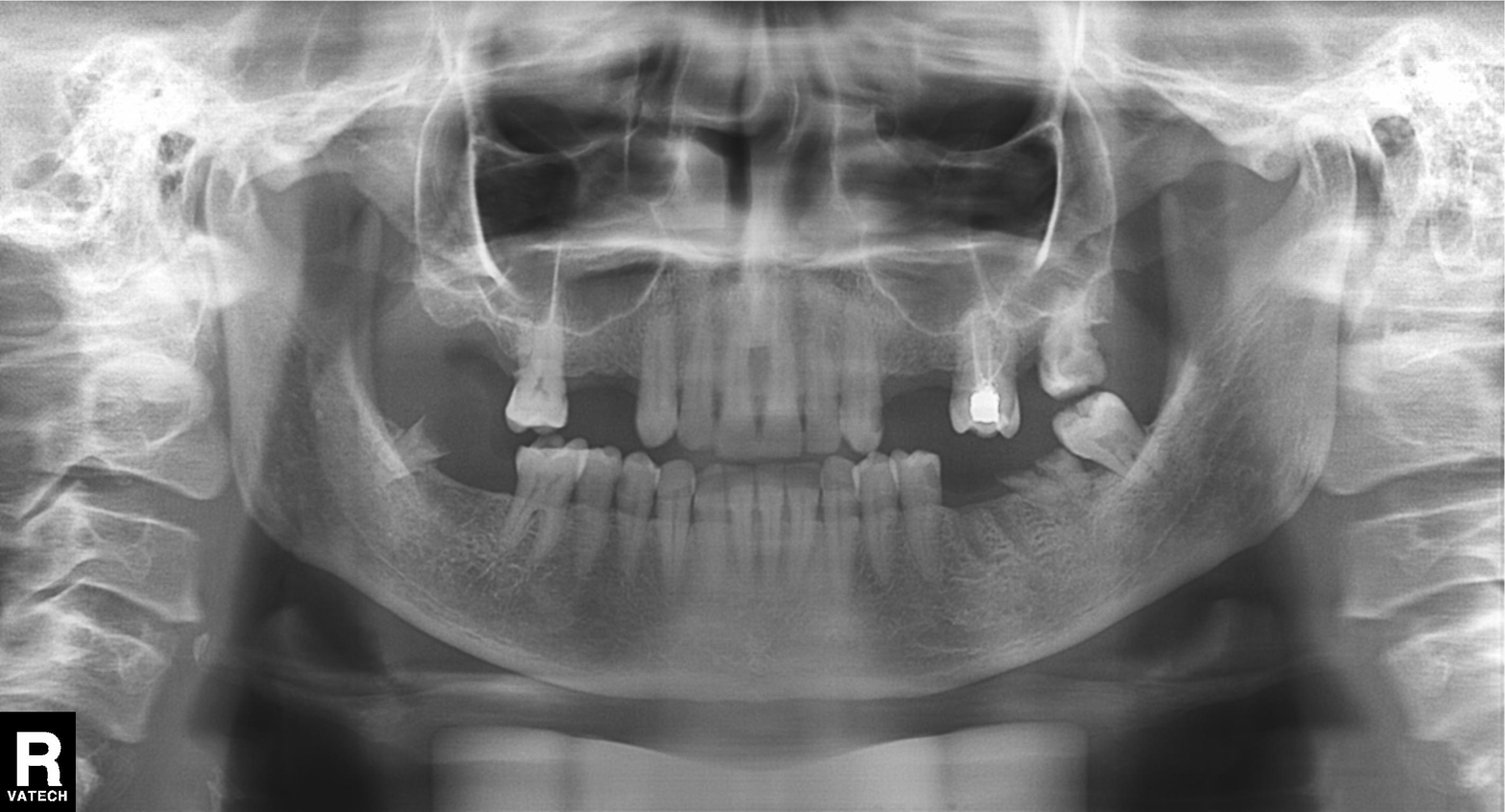
Summary: Panoramic dental radiograph (orthopantomogram).
Assessment: Alveolar bone loss.